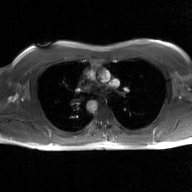
2D phase-contrast cine MRI of the ascending aorta, GAN super-resolution reconstruction.